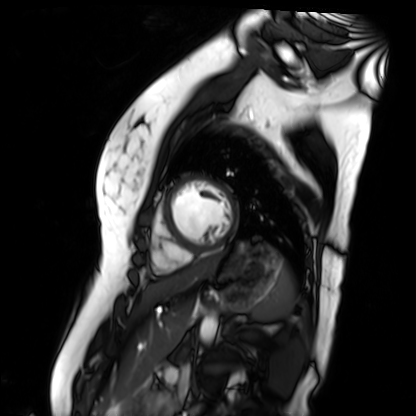
{
  "modality": "cardiac MR image of the myocardium",
  "cohort": "healthy volunteer"
}